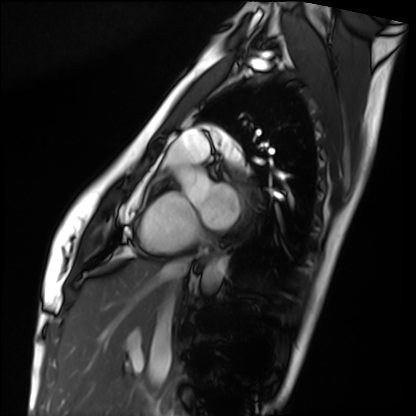
Cardiac MRI. Subject group: healthy volunteer.